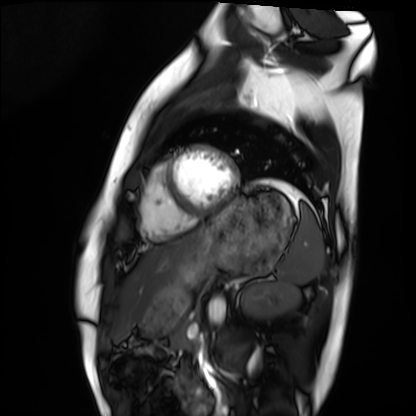
modality: cardiac MRI
cohort: healthy volunteer